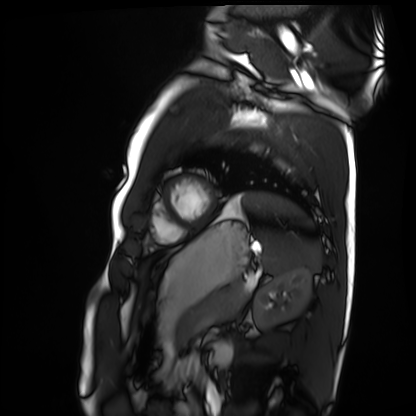
modality: cardiac MRI
cohort: healthy volunteer